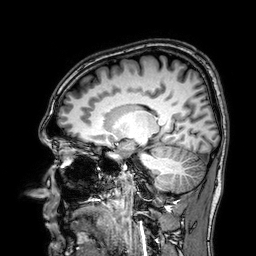
– modality · 3 Tesla brain MRI
– series · 3D T1-weighted
– study · ring-enhancing brain masses